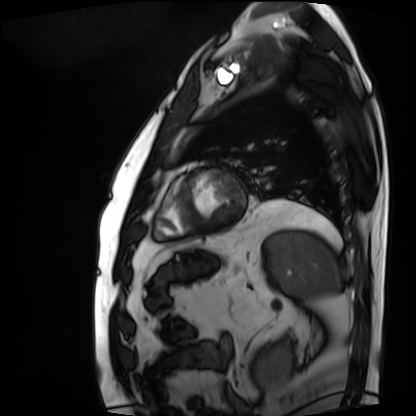
Case:
* modality — cardiac MRI
* subject group — patient